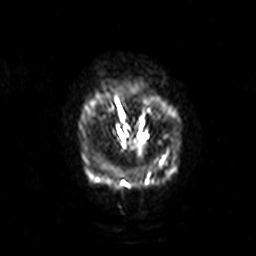
{
  "modality": {
    "type": "brain MRI",
    "field_strength": "3T"
  },
  "series": "diffusion-weighted imaging with SENSE (WIP)",
  "study_topic": "ring-enhancing brain masses"
}